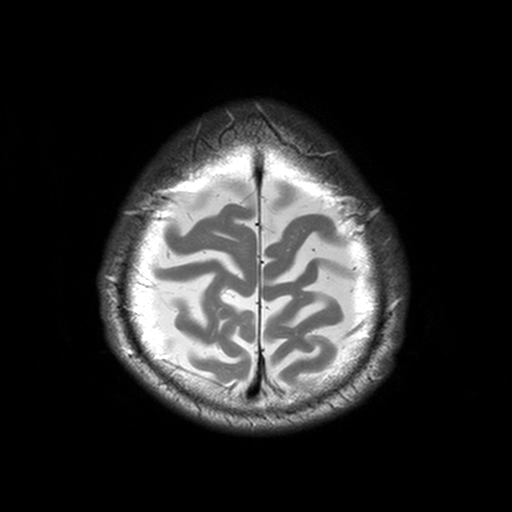
Case summary: 3 Tesla brain MRI. Series: T2-weighted turbo spin echo, 3 mm. Study: ring-enhancing brain masses.